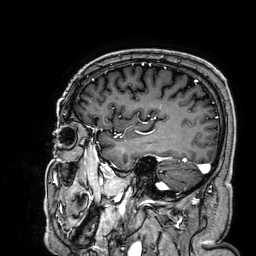
<scan>
<modality>
  <type>brain MRI</type>
  <field_strength>3T</field_strength>
</modality>
<series>3D T1-weighted</series>
<study_topic>ring-enhancing brain masses</study_topic>
</scan>